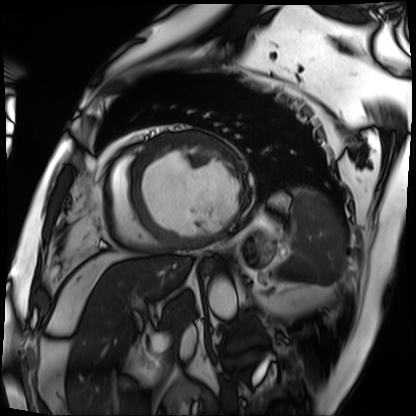
Clinical context: Cardiac MRI. Subject group: patient.